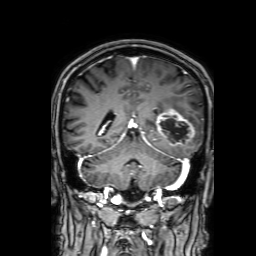
3 Tesla brain MRI.
Series: 3D T1-weighted with SENSE.
Study: ring-enhancing brain masses.